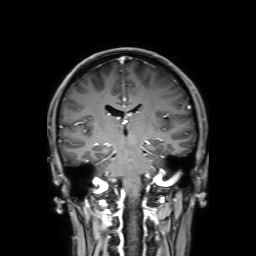
Summary: 3 Tesla brain MRI. Series: 3D T1-weighted with SENSE. Study: ring-enhancing brain masses.